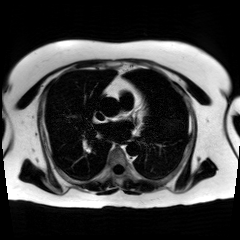
Case:
- modality · chemical-shift-encoded cardiac MRI